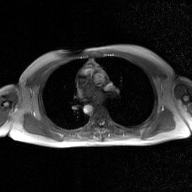
2D phase-contrast cine MRI of the ascending aorta, GAN super-resolution reconstruction.